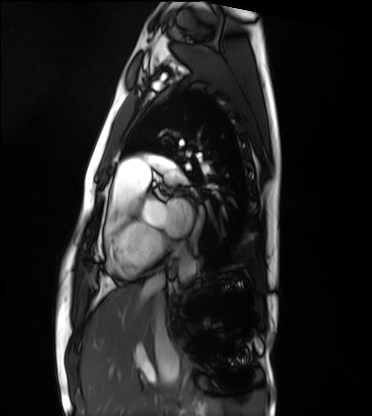
Cardiac MRI. Subject group: healthy volunteer.